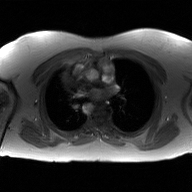
– modality · 2D phase-contrast cine MRI of the ascending aorta, GAN super-resolution reconstruction